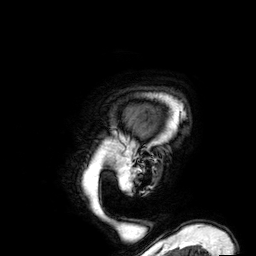
  modality:
    type: brain MRI
    field_strength: 3T
  series: 3D T1-weighted
  study_topic: ring-enhancing brain masses